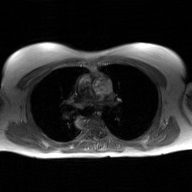
modality: 2D phase-contrast cine MRI of the ascending aorta, GAN super-resolution reconstruction.